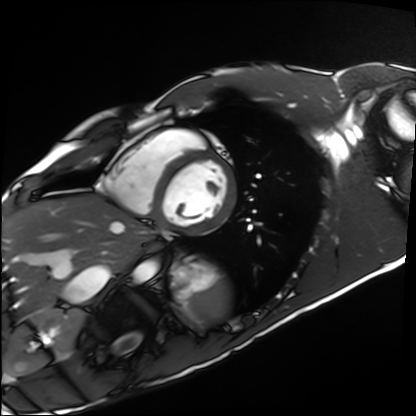
modality: cardiac MRI | subject group: healthy volunteer.